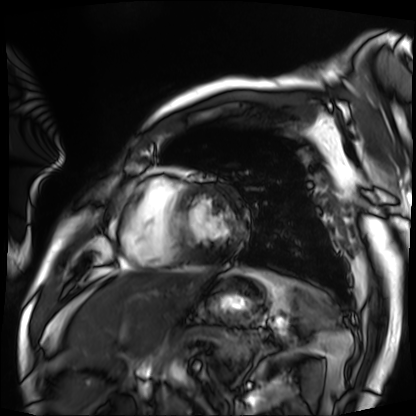
Case:
• modality · cardiac MRI
• subject group · patient